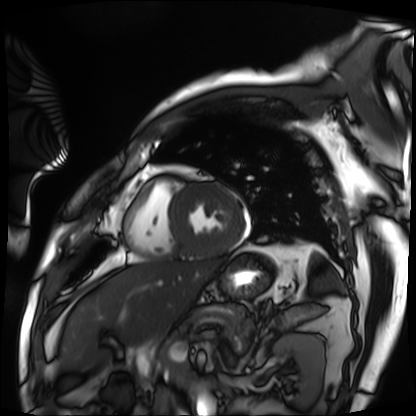
– modality: cardiac MRI
– subject group: patient